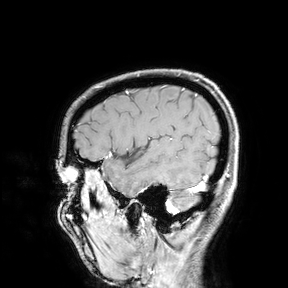
modality: 3 Tesla brain MRI | study: ring-enhancing brain masses.